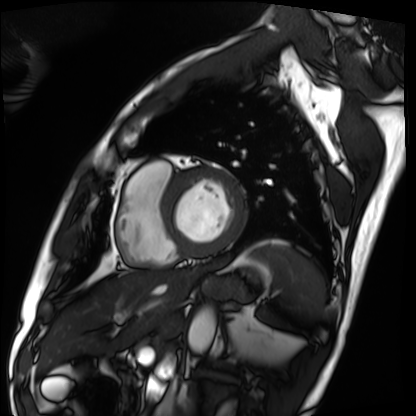
modality: cardiac MRI
cohort: patient